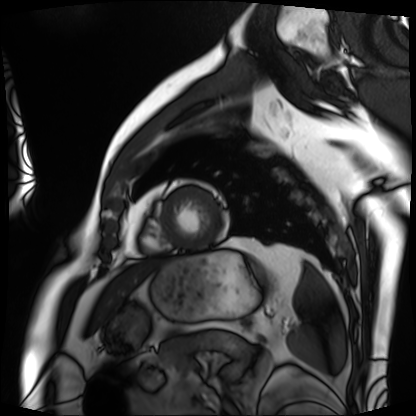
Cardiac MRI.
Subject group: patient.